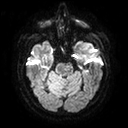
- modality · 3 Tesla brain MRI
- series · diffusion tensor imaging (medium iso)
- study · ring-enhancing brain masses